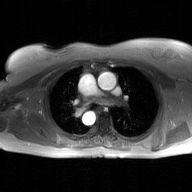
* modality: 2D phase-contrast cine MRI of the ascending aorta, GAN super-resolution reconstruction